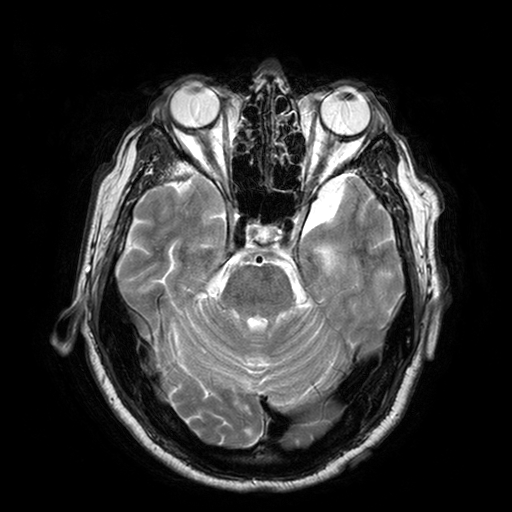
{"modality": {"type": "brain MRI", "field_strength": "3T"}, "series": "T2-weighted turbo spin echo with SENSE", "study_topic": "ring-enhancing brain masses"}